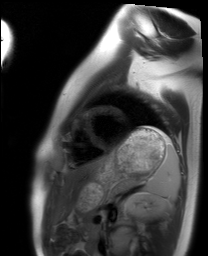
{"modality": "cardiac MRI", "cohort": "healthy volunteer"}